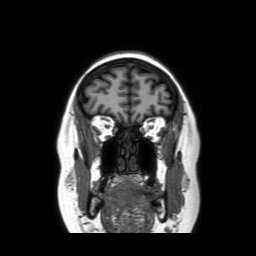
{"modality": {"type": "brain MRI", "field_strength": "3T"}, "series": "coronal without contrast", "study_topic": "ring-enhancing brain masses"}